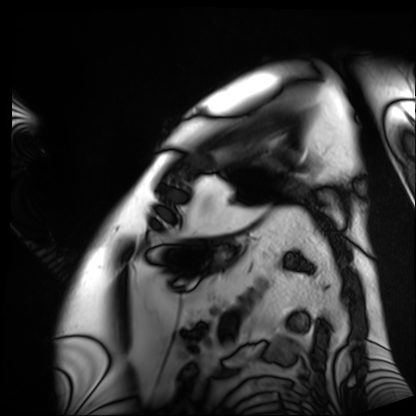
Cardiac MRI. Subject group: patient.